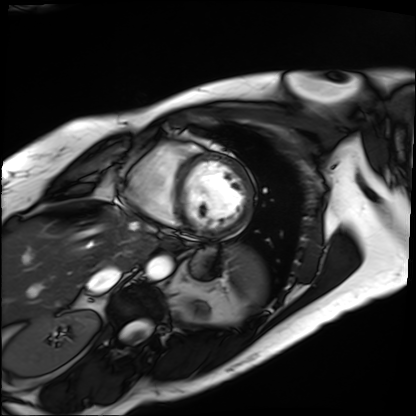
Cardiac MRI.
Subject group: patient.